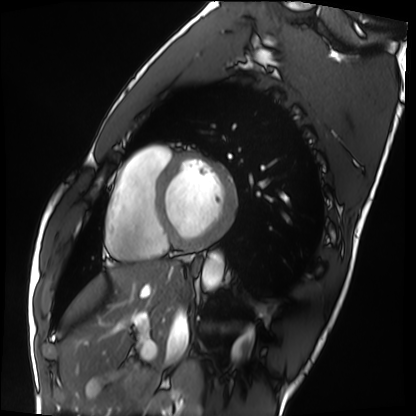
Cardiac MRI. Subject group: healthy volunteer.